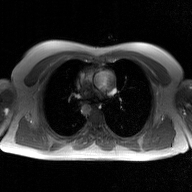
2D phase-contrast cine MRI of the ascending aorta, GAN super-resolution reconstruction.